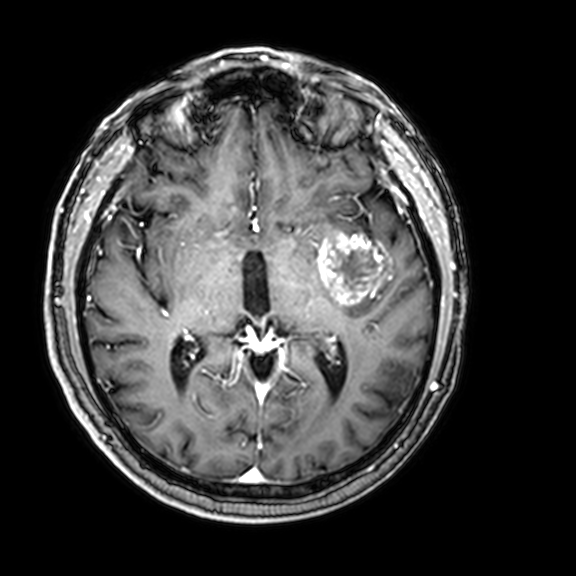
<record>
<modality>
  <type>brain MRI</type>
  <field_strength>3T</field_strength>
</modality>
<series>3D T1-weighted with CLEAR</series>
<study_topic>ring-enhancing brain masses</study_topic>
</record>